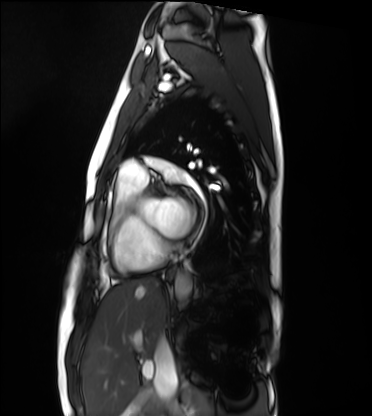
Summary: Cardiac MRI. Subject group: healthy volunteer.